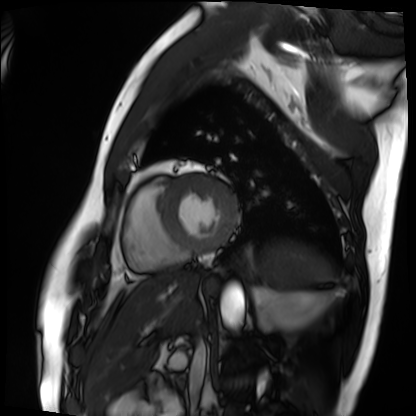
Cardiac MRI.
Subject group: patient.